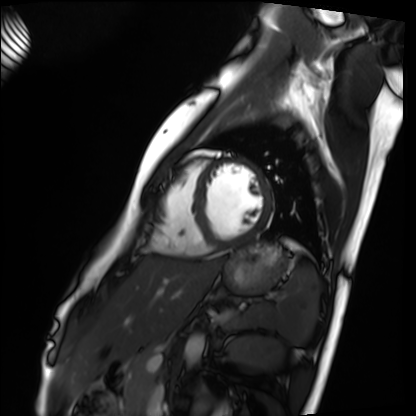
Summary:
Cardiac MRI. Subject group: healthy volunteer.